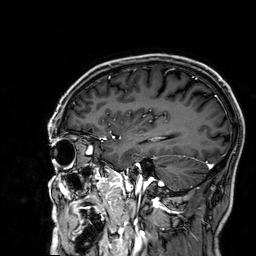
{
  "modality": {
    "type": "brain MRI",
    "field_strength": "3T"
  },
  "series": "3D T1-weighted",
  "study_topic": "ring-enhancing brain masses"
}